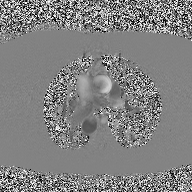
<record>
  <modality>
    <type>2D phase-contrast cine MRI</type>
    <region>ascending aorta</region>
    <reconstruction>high-resolution GRAPPA acquisition</reconstruction>
  </modality>
</record>